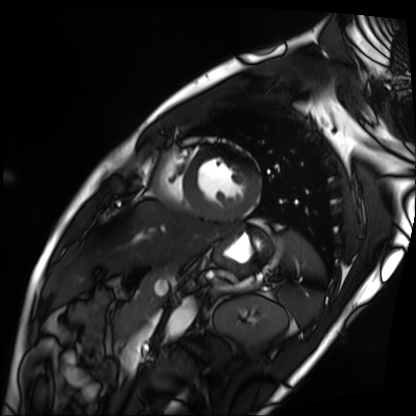
<scan>
<modality>cardiac MRI</modality>
<cohort>patient</cohort>
</scan>